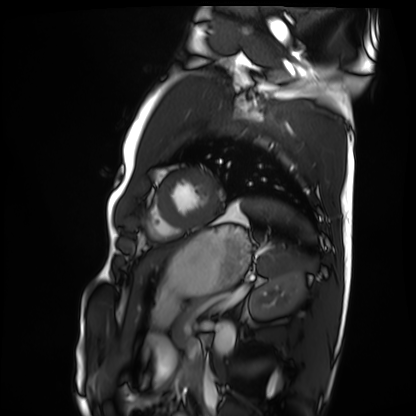
Cardiac MRI.
Subject group: healthy volunteer.